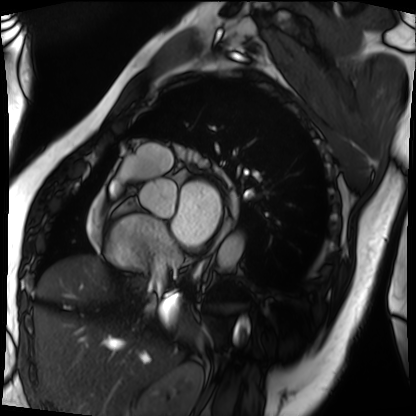
Cardiac MRI.
Subject group: patient.